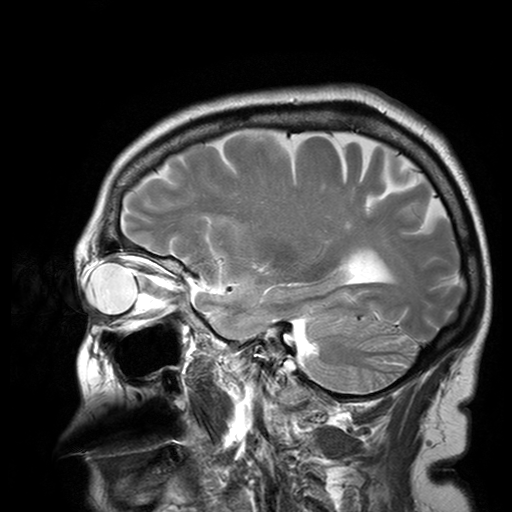
• modality — 3 Tesla brain MRI
• series — T2-weighted turbo spin echo with SENSE
• study — ring-enhancing brain masses